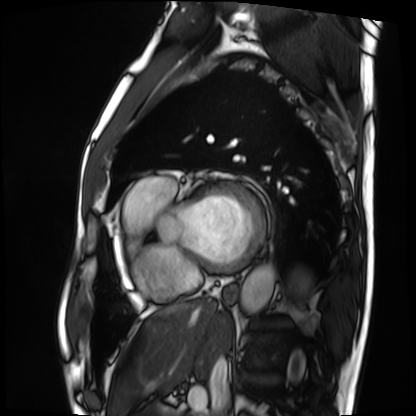
modality: cardiac MRI
cohort: patient